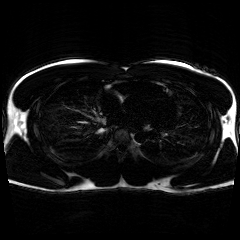
<record>
  <modality>chemical-shift-encoded cardiac MRI</modality>
</record>